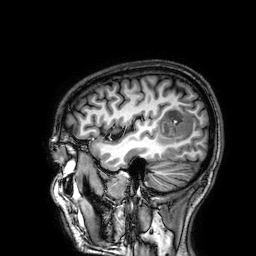
Clinical context: 3 Tesla brain MRI. Series: 3D T1-weighted. Study: ring-enhancing brain masses.